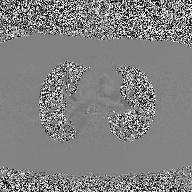
| field | value |
|---|---|
| modality | 2D phase-contrast cine MRI of the ascending aorta |